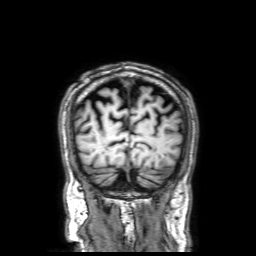
• modality: 3 Tesla brain MRI
• series: 3D T1-weighted with SENSE
• study: ring-enhancing brain masses